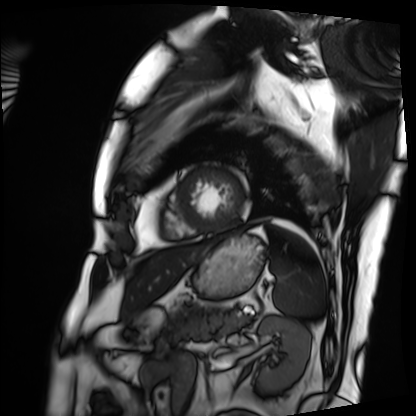
Summary: Cardiac MRI. Subject group: patient.